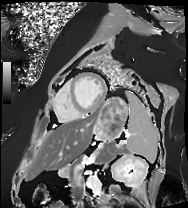
Cardiac MRI.
Subject group: patient.